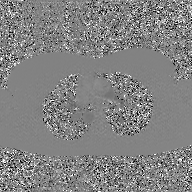
Q: What kind of scan is this?
A: 2D phase-contrast cine MRI of the ascending aorta, GAN super-resolution reconstruction.